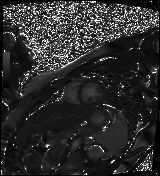
Clinical context:
Cardiac MR image of the myocardium. Subject cohort: healthy volunteer.